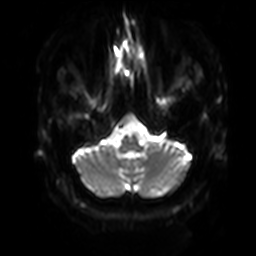
3 Tesla brain MRI. Series: diffusion-weighted imaging with SENSE (WIP). Study: ring-enhancing brain masses.